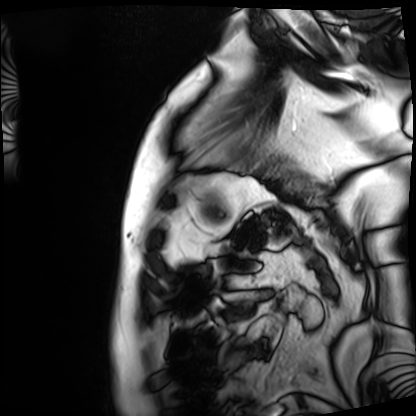
modality: cardiac MRI
subject group: patient